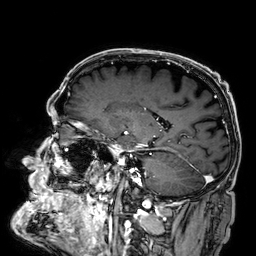
• modality · 3 Tesla brain MRI
• series · 3D T1-weighted
• study · ring-enhancing brain masses